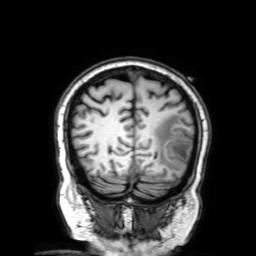
3 Tesla brain MRI. Series: 3D T1-weighted with SENSE. Study: ring-enhancing brain masses.